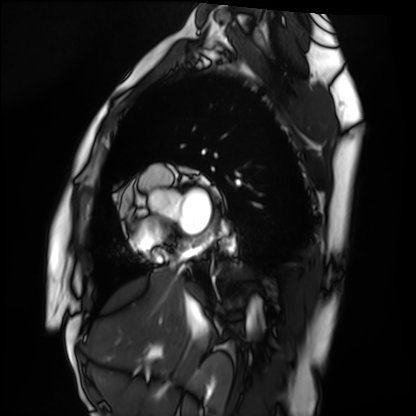
Q: What kind of scan is this?
A: Cardiac MRI.
Subject group: healthy volunteer.